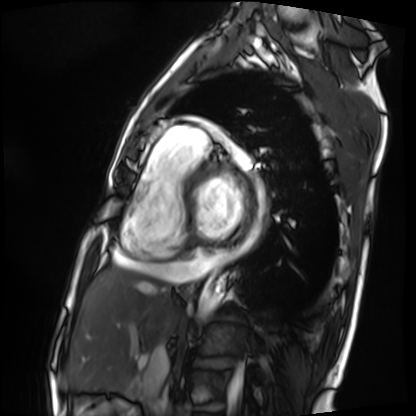
| field | value |
|---|---|
| modality | cardiac MRI |
| subject group | patient |